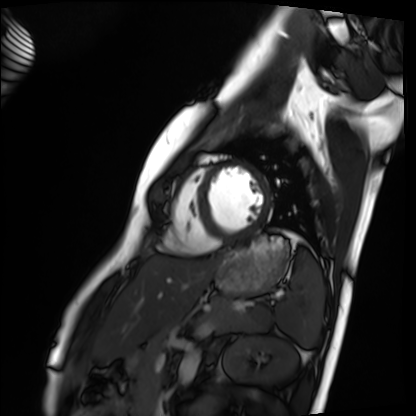
Cardiac MRI.
Subject group: healthy volunteer.